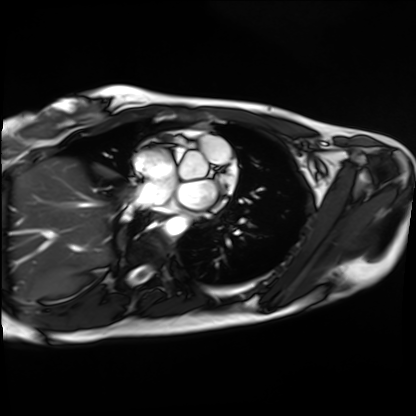
modality: cardiac MRI
subject group: healthy volunteer